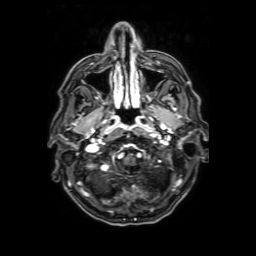
Summary: 3 Tesla brain MRI. Series: axial T1-weighted fusion image. Study: ring-enhancing brain masses.